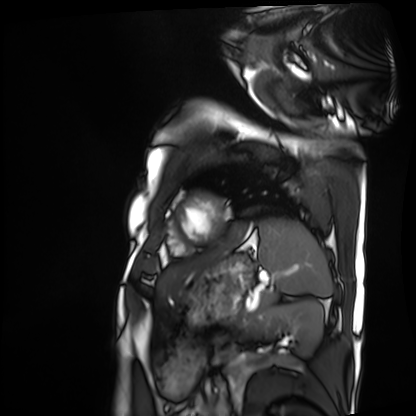
  modality: cardiac MRI
  cohort: patient